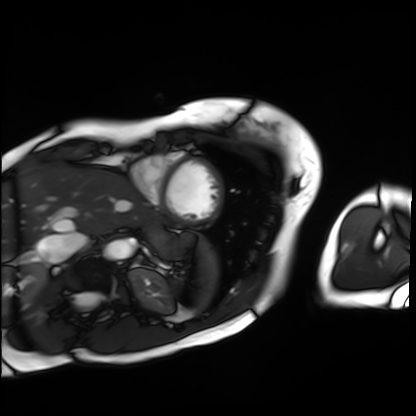
Cardiac MRI.
Subject group: patient.